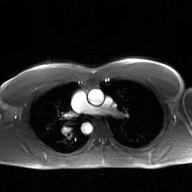
Clinical context: 2D phase-contrast cine MRI of the ascending aorta, GAN super-resolution reconstruction.